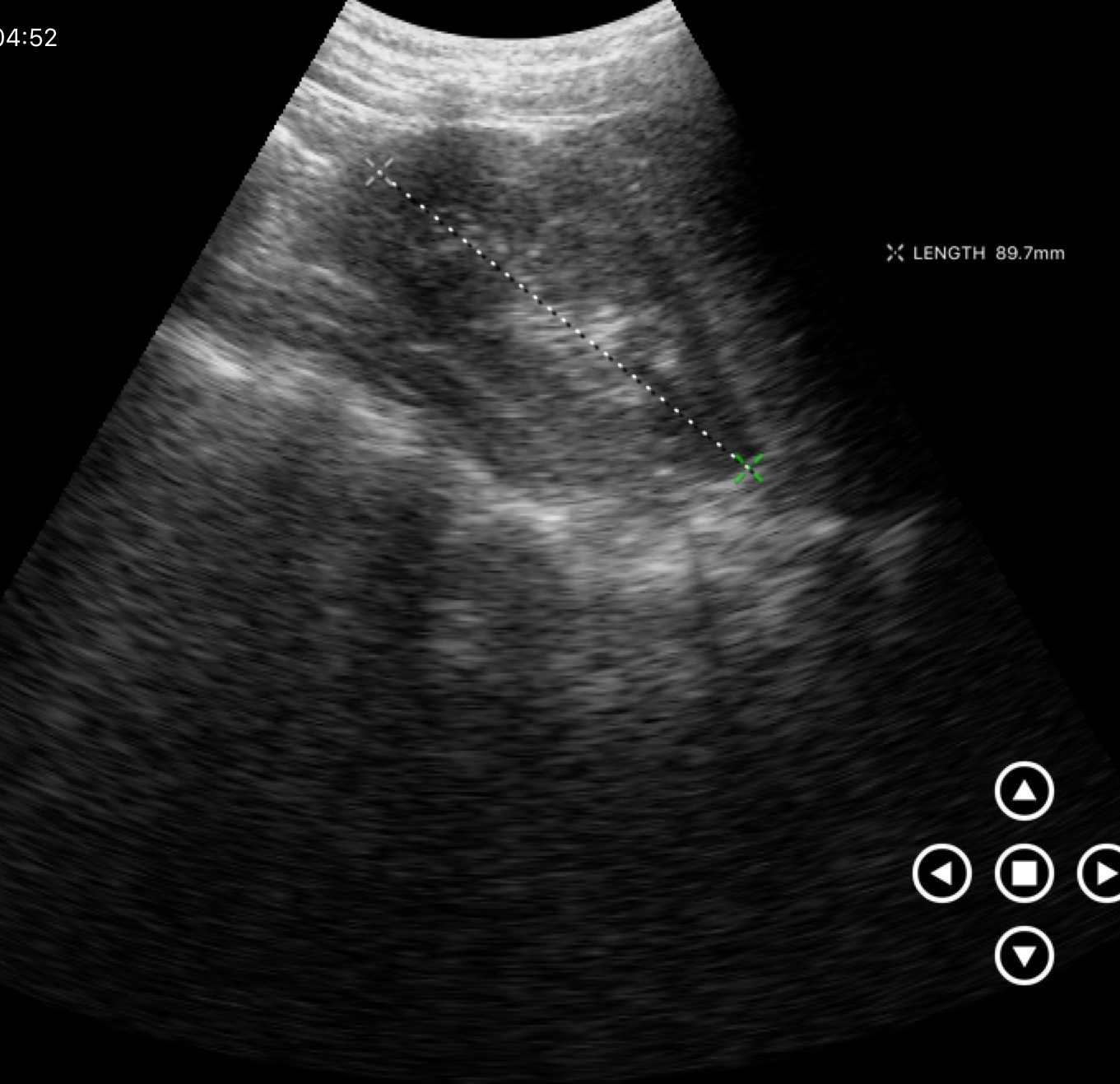
– modality — genitourinary ultrasound